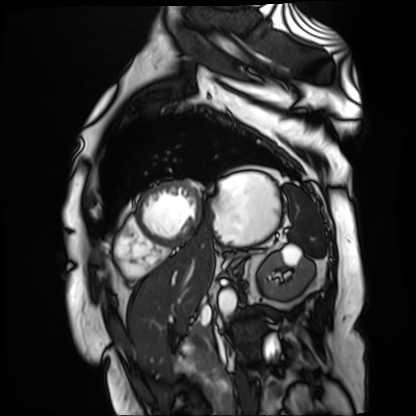
Summary: Cardiac MR image of the myocardium. Subject cohort: cardiac patient.